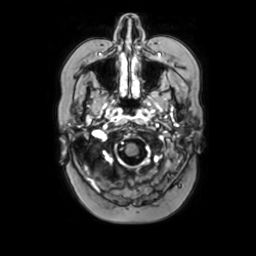
3 Tesla brain MRI.
Series: axial with contrast.
Study: ring-enhancing brain masses.